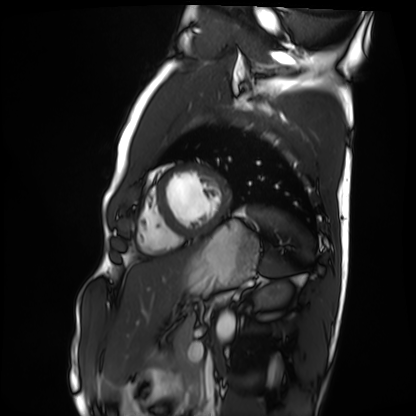
Cardiac MRI.
Subject group: healthy volunteer.